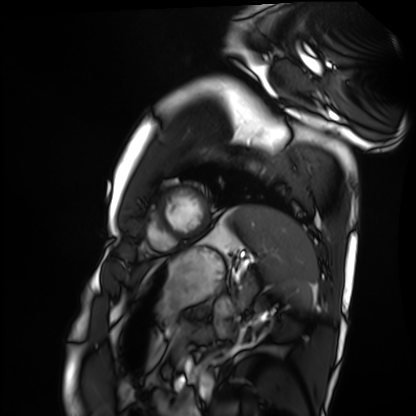
- modality: cardiac MRI
- subject group: healthy volunteer